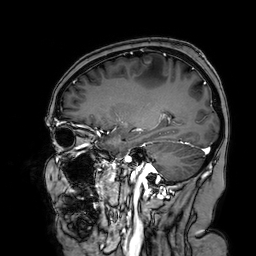
modality: 3 Tesla brain MRI
study: ring-enhancing brain masses